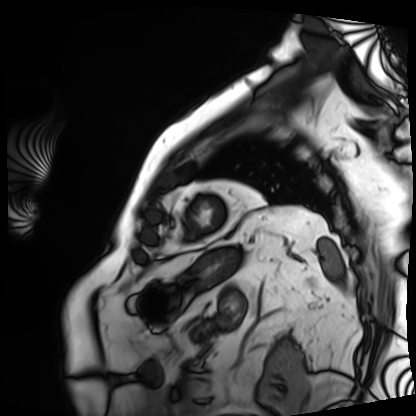
Cardiac MRI.
Subject group: patient.